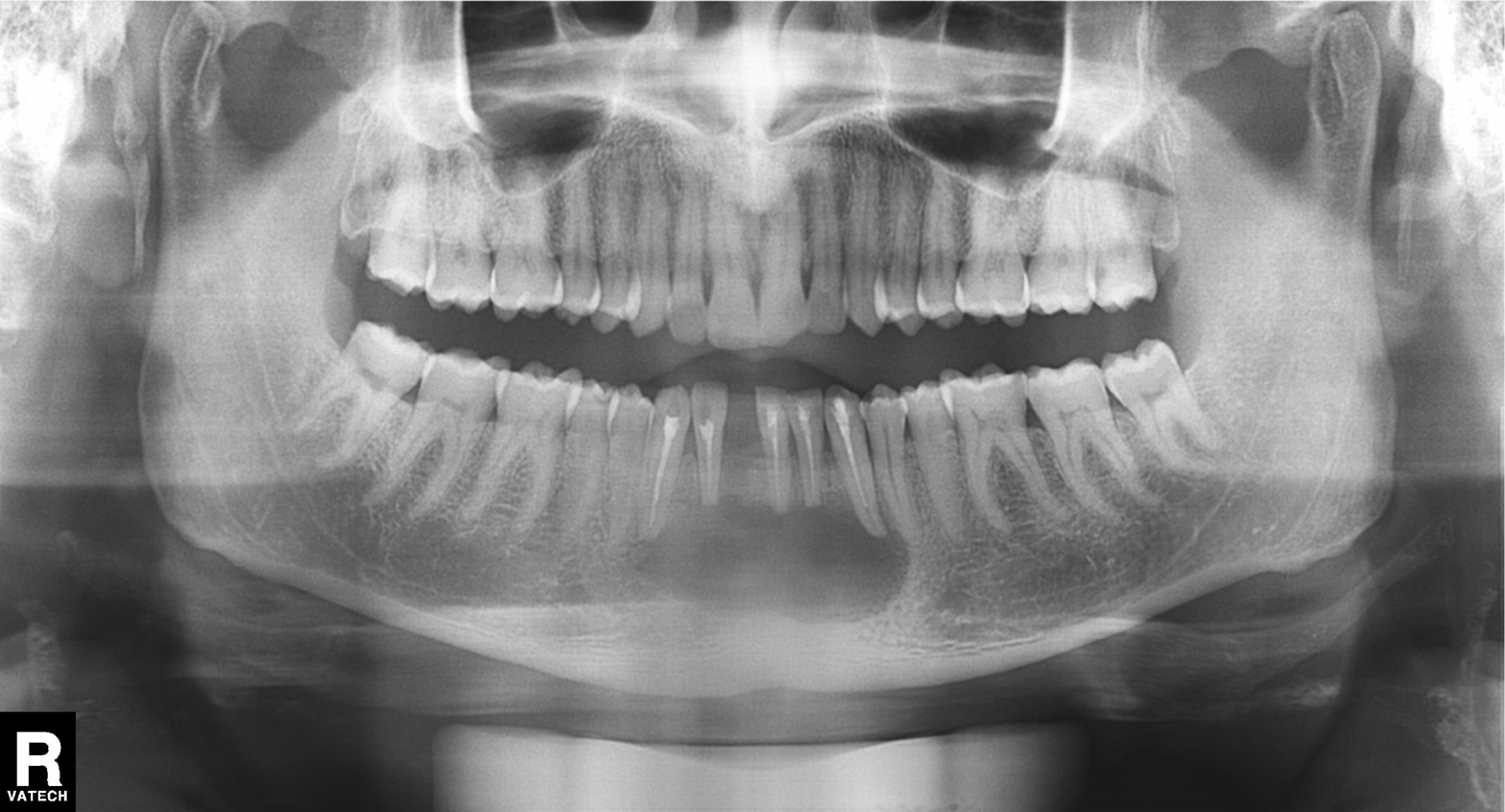
Summary: Panoramic dental radiograph (orthopantomogram).
Conclusion: Dental caries (cavities).